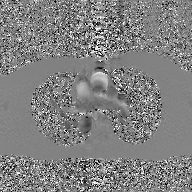
  modality:
    type: 2D phase-contrast cine MRI
    region: ascending aorta
    reconstruction: GAN super-resolution reconstruction